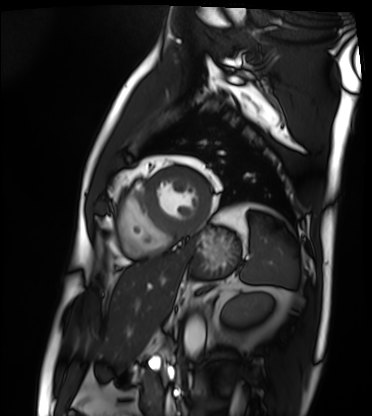
Cardiac MRI. Subject group: patient.